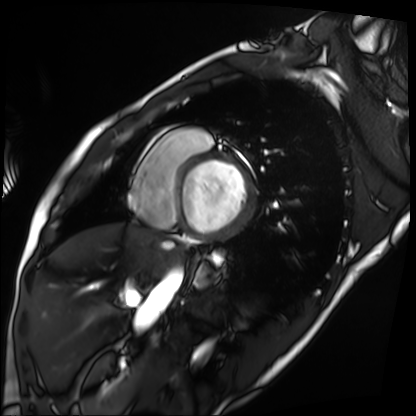
modality = cardiac MRI
subject group = patient